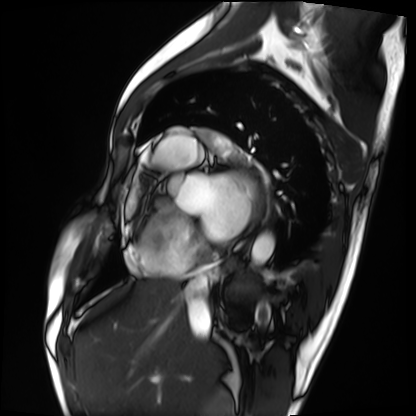
Cardiac MRI. Subject group: patient.